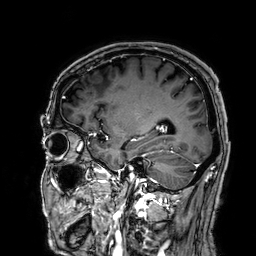
Case:
• modality: 3 Tesla brain MRI
• series: 3D T1-weighted
• study: ring-enhancing brain masses